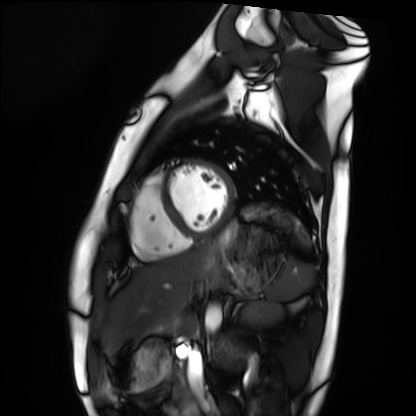
Cardiac MRI. Subject group: healthy volunteer.